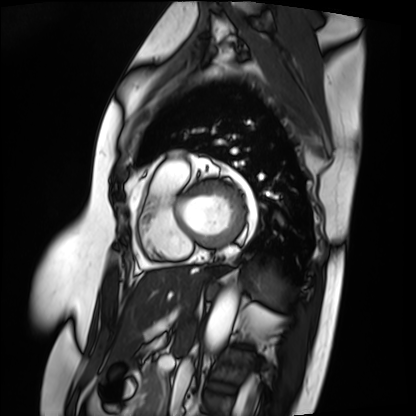
| field | value |
|---|---|
| modality | cardiac MRI |
| subject group | patient |